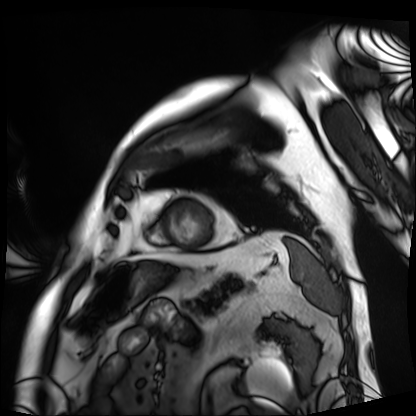
Cardiac MRI. Subject group: patient.